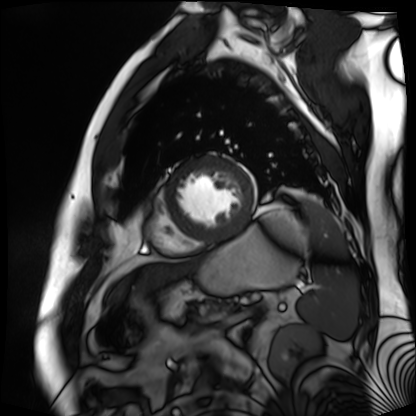
Cardiac MR image of the myocardium. Subject cohort: cardiac patient.